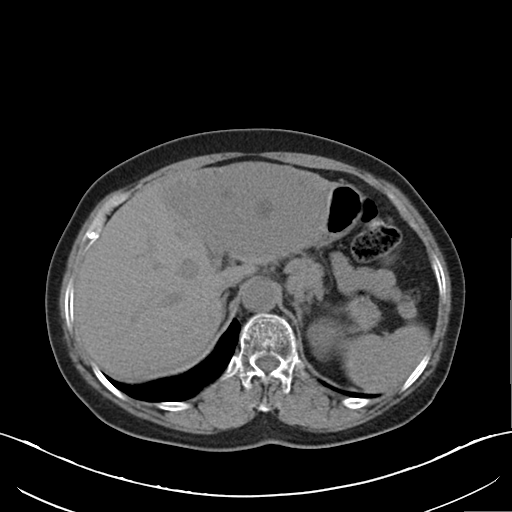
modality — multiphase abdominal CT, liver, non-contrast phase | patient — female, age 64.